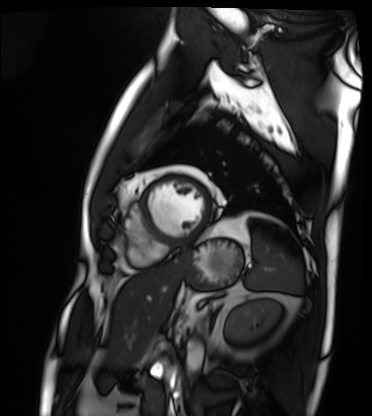
| field | value |
|---|---|
| modality | cardiac MRI |
| subject group | patient |